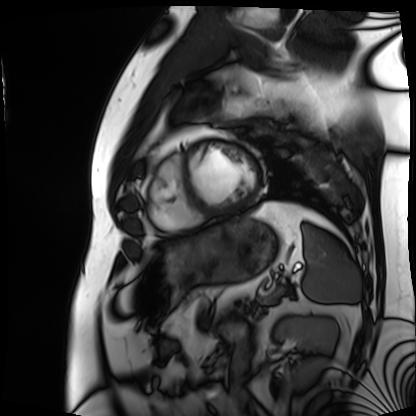
Cardiac MRI.
Subject group: patient.